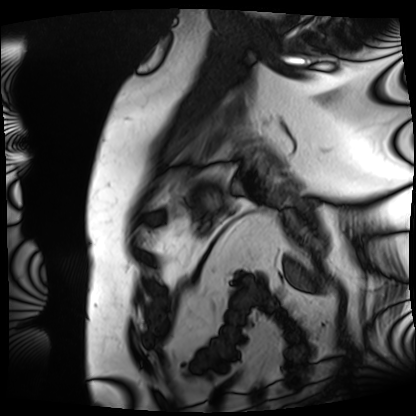
– modality: cardiac MRI
– subject group: patient